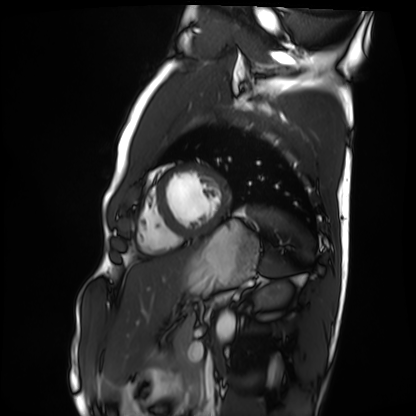
Cardiac MRI. Subject group: healthy volunteer.